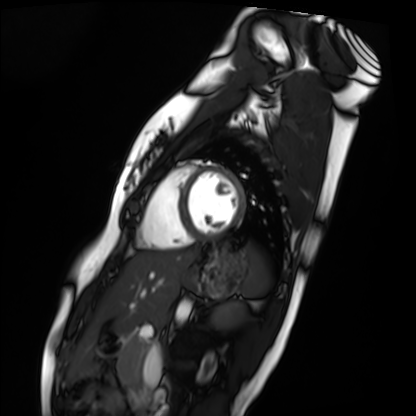
Cardiac MRI.
Subject group: healthy volunteer.